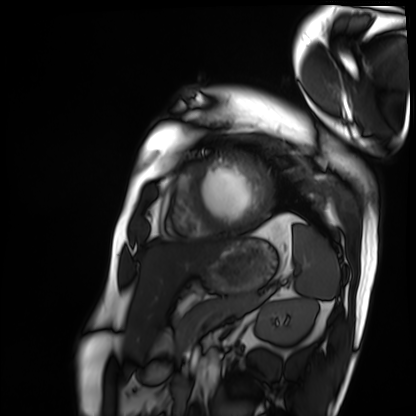
| field | value |
|---|---|
| modality | cardiac MRI |
| subject group | patient |